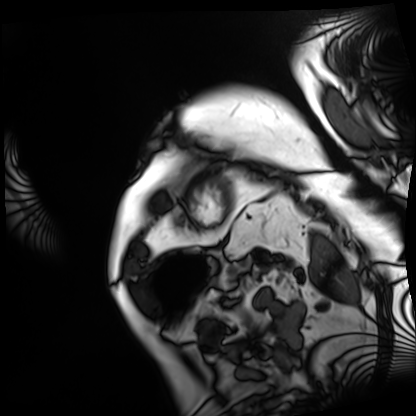
{"modality": "cardiac MRI", "cohort": "patient"}